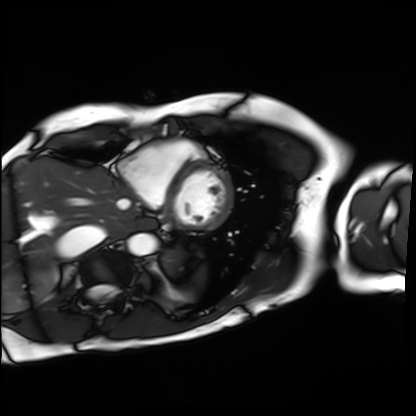
Cardiac MRI. Subject group: patient.